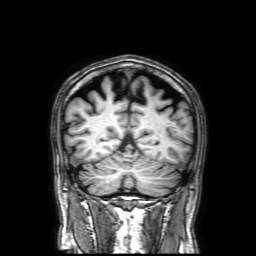
3 Tesla brain MRI. Series: 3D T1-weighted with SENSE. Study: ring-enhancing brain masses.